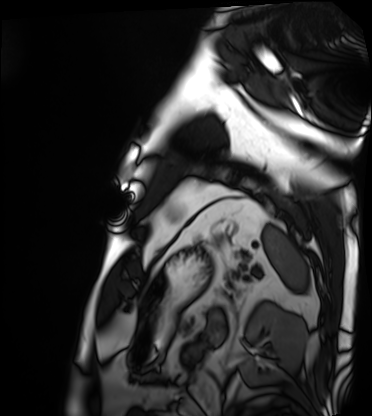
{"modality": "cardiac MRI", "cohort": "patient"}